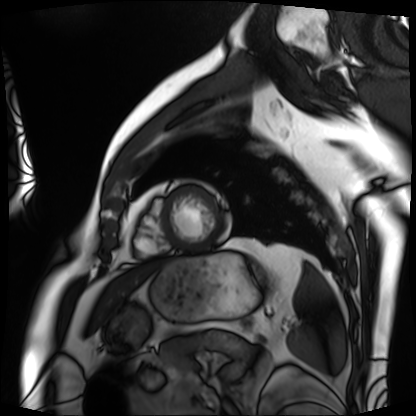
Cardiac MRI.
Subject group: patient.